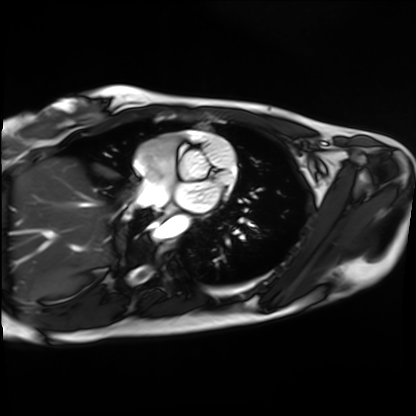
Cardiac MRI. Subject group: healthy volunteer.